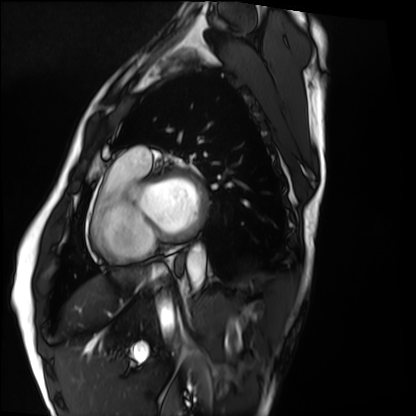
Cardiac MRI.
Subject group: healthy volunteer.